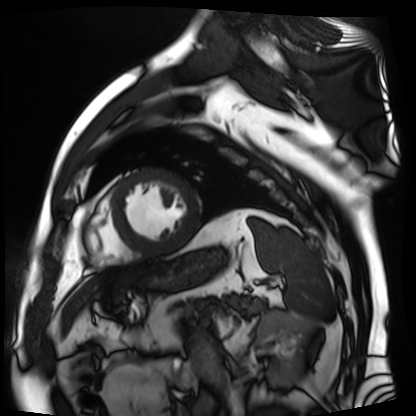
{
  "modality": "cardiac MR image of the myocardium",
  "cohort": "cardiac patient"
}